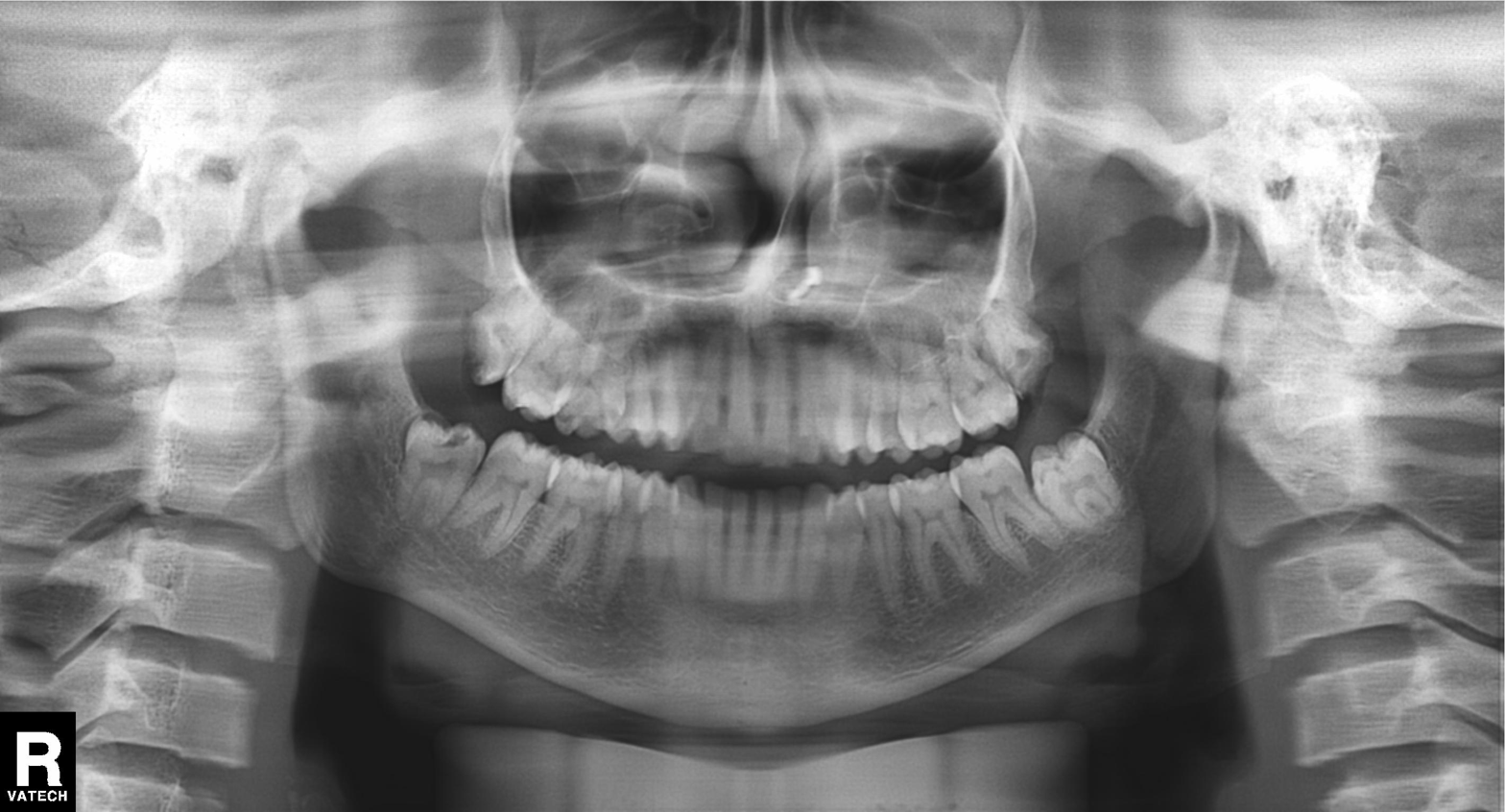
  modality: panoramic dental radiograph (orthopantomogram)
  finding: alveolar bone loss